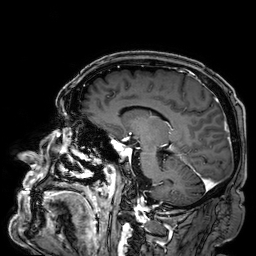
modality = 3 Tesla brain MRI; series = 3D T1-weighted; study = ring-enhancing brain masses.